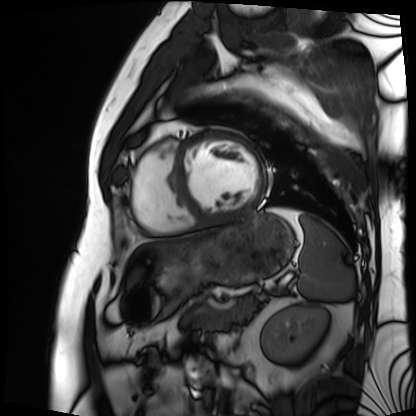
Summary: Cardiac MRI. Subject group: patient.